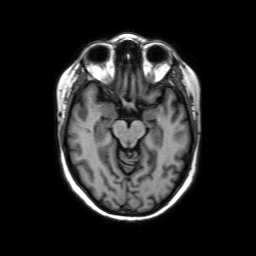
modality=3 Tesla brain MRI
series=axial without contrast
study=ring-enhancing brain masses